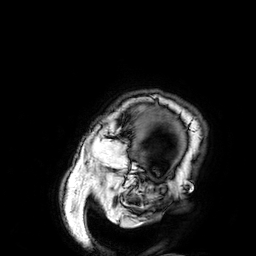
3 Tesla brain MRI. Series: 3D T1-weighted. Study: ring-enhancing brain masses.